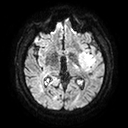
  modality:
    type: brain MRI
    field_strength: 3T
  series: diffusion tensor imaging (medium iso)
  study_topic: ring-enhancing brain masses